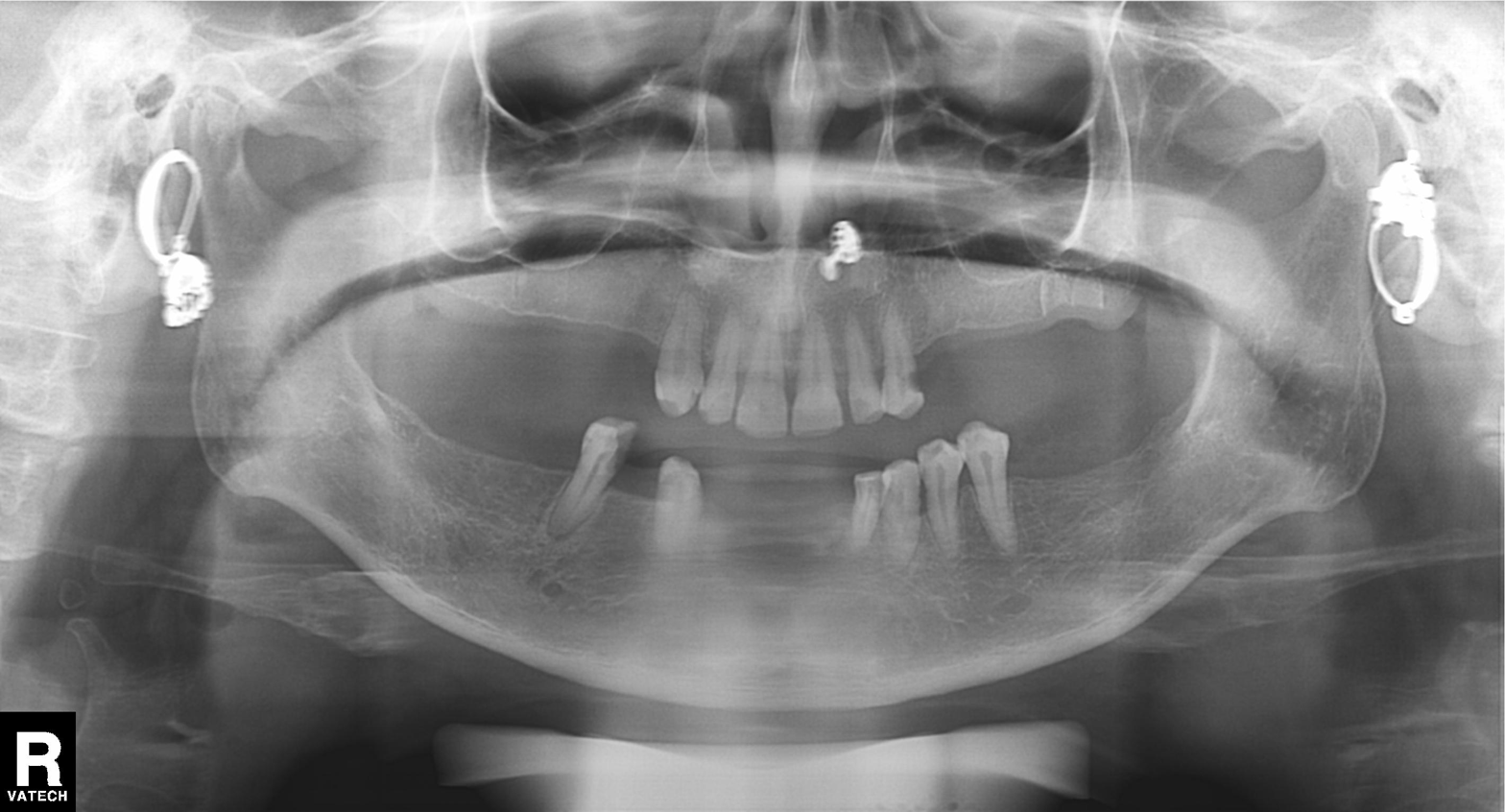
  modality: panoramic dental radiograph (orthopantomogram)
  finding: alveolar bone loss